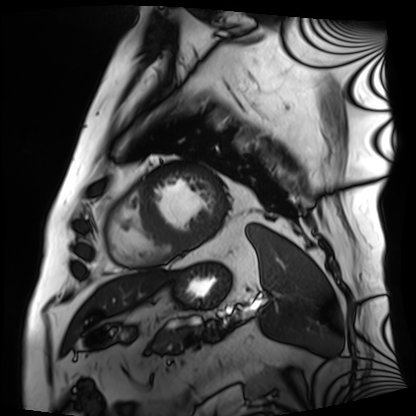
modality: cardiac MRI
cohort: patient